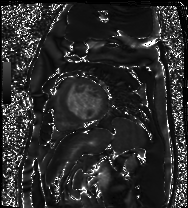
Case summary: Cardiac MR image of the myocardium. Subject cohort: cardiac patient.